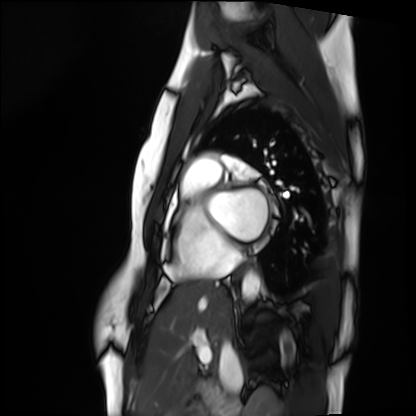
- modality: cardiac MRI
- subject group: healthy volunteer